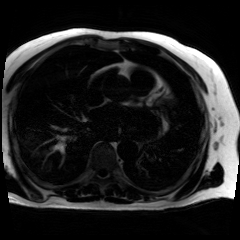
Chemical-shift-encoded cardiac MRI.